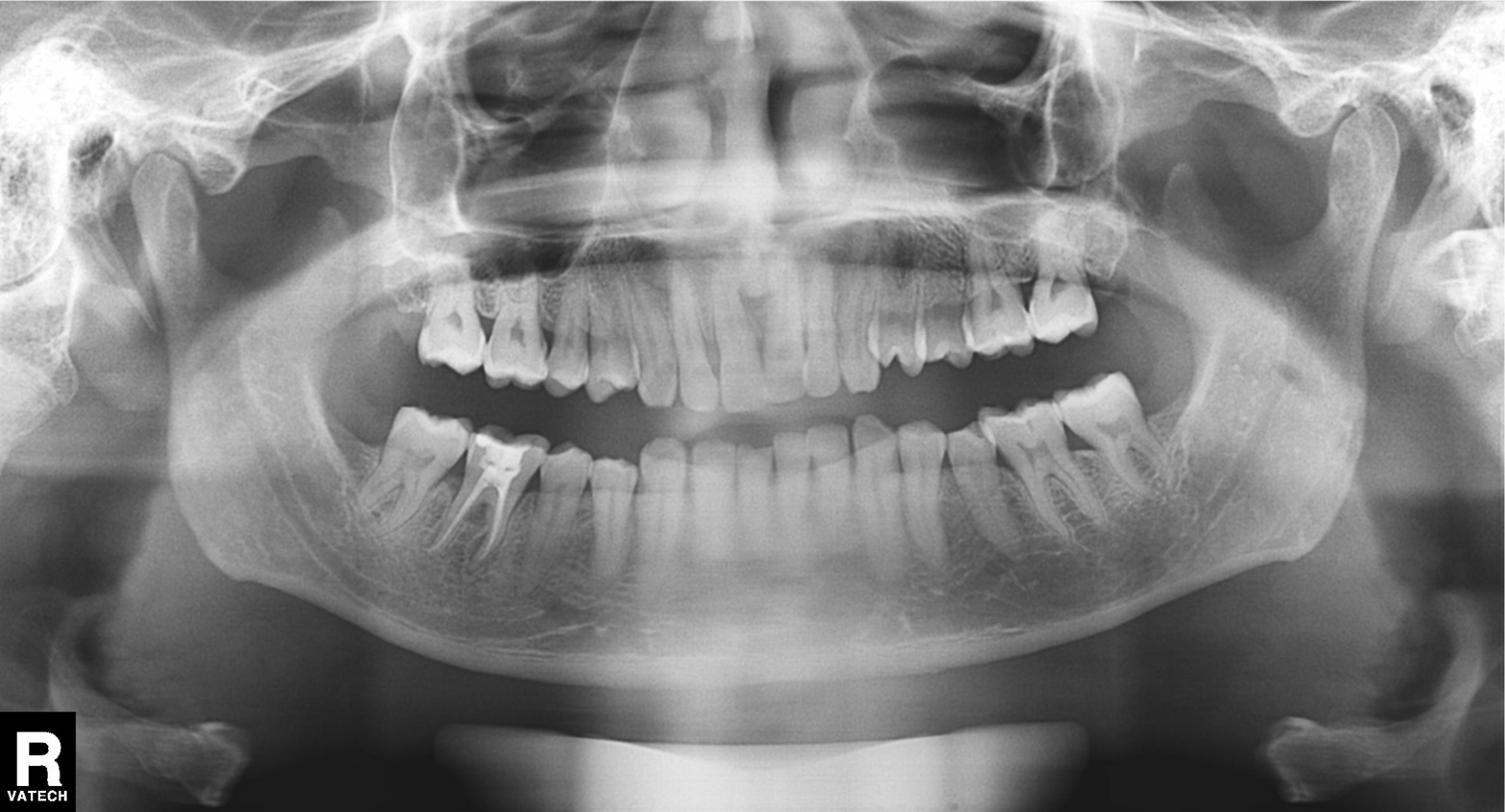
Case:
* modality — panoramic dental radiograph (orthopantomogram)
* finding — alveolar bone loss